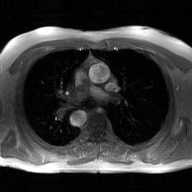
2D phase-contrast cine MRI of the ascending aorta, GAN super-resolution reconstruction.